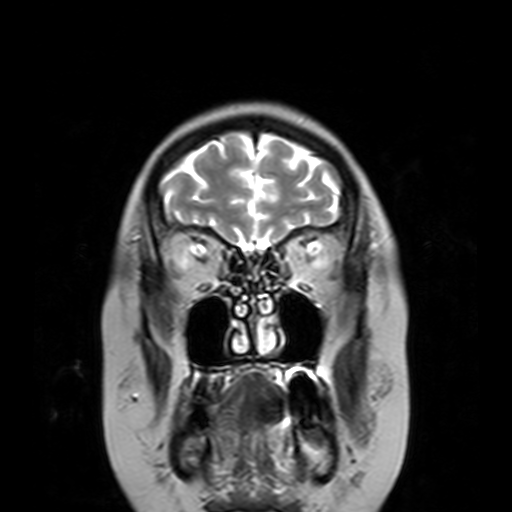
3 Tesla brain MRI. Series: T2-weighted turbo spin echo with SENSE. Study: ring-enhancing brain masses.